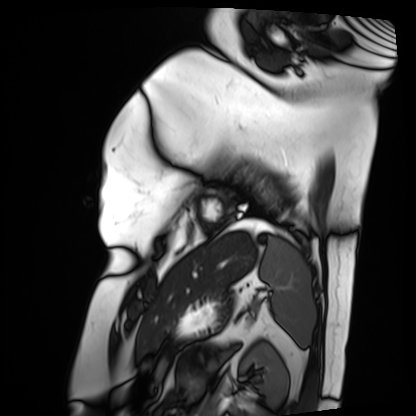
Cardiac MRI. Subject group: patient.